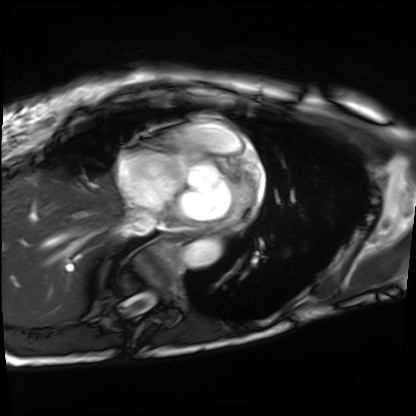
- modality: cardiac MRI
- subject group: patient